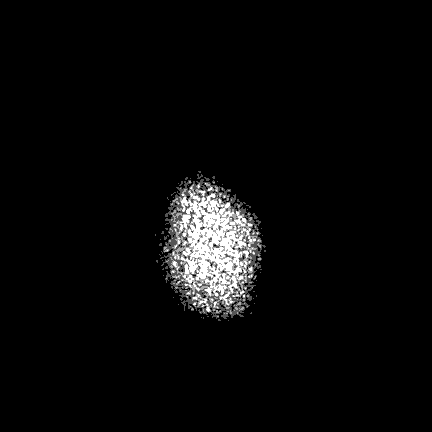
modality = 3 Tesla brain MRI; series = FLAIR VISTA with SENSE; study = ring-enhancing brain masses.